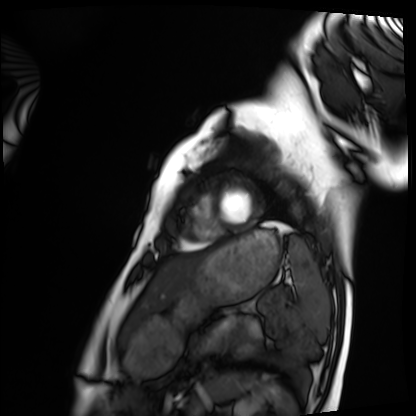
Case summary: Cardiac MRI. Subject group: healthy volunteer.